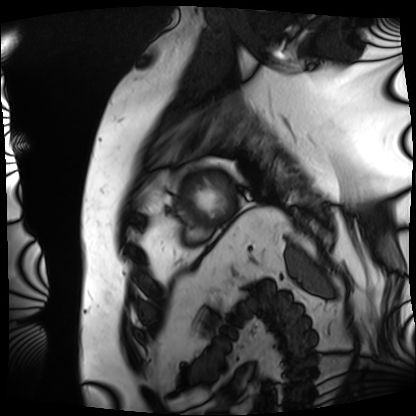
{
  "modality": "cardiac MRI",
  "cohort": "patient"
}